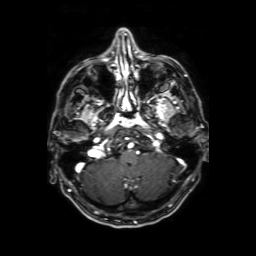
3 Tesla brain MRI. Series: axial T1-weighted fusion image. Study: ring-enhancing brain masses.